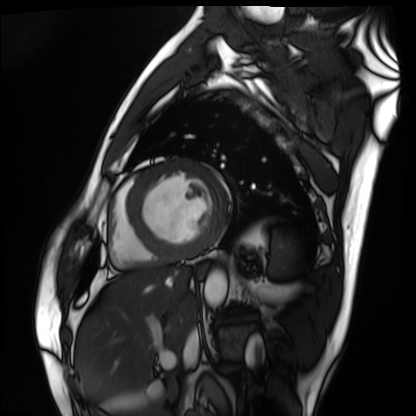
modality: cardiac MRI
subject group: patient